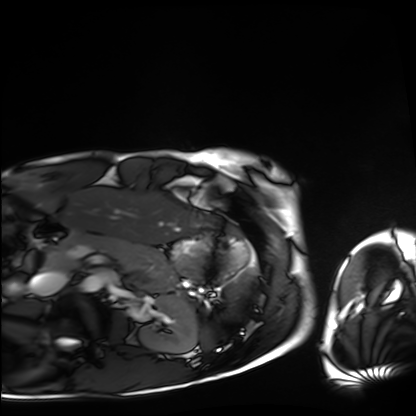
Summary:
Cardiac MRI. Subject group: healthy volunteer.